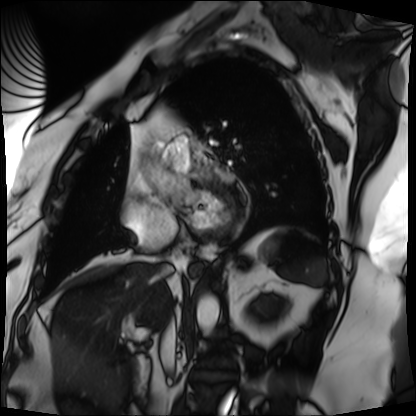
Cardiac MRI. Subject group: patient.